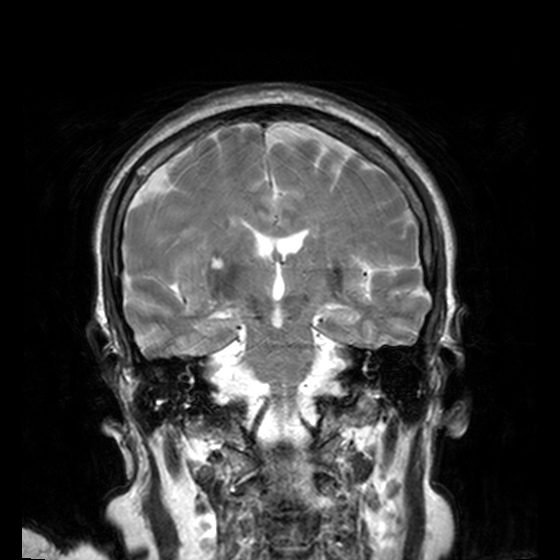
Summary:
3 Tesla brain MRI. Series: T2-weighted turbo spin echo, 3 mm. Study: ring-enhancing brain masses.